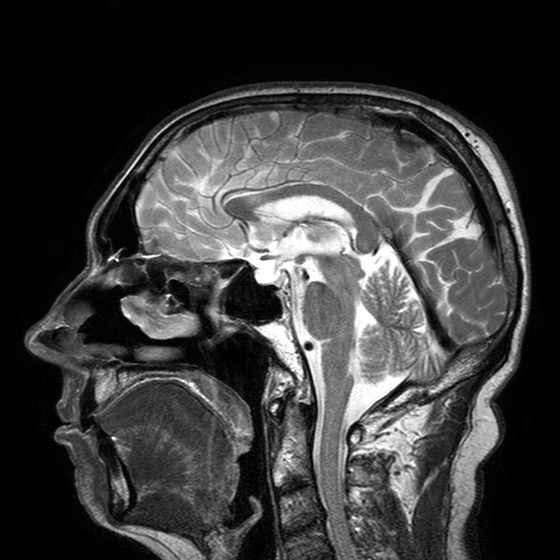
modality:
  type: brain MRI
  field_strength: 3T
series: T2-weighted turbo spin echo with SENSE
study_topic: ring-enhancing brain masses